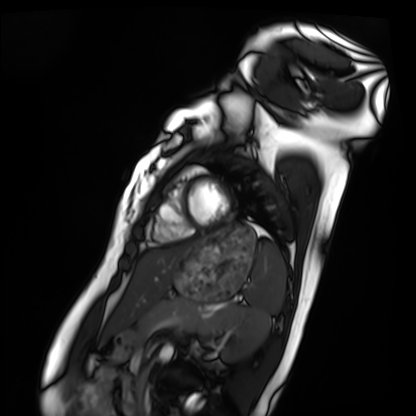
modality: cardiac MRI; subject group: healthy volunteer.